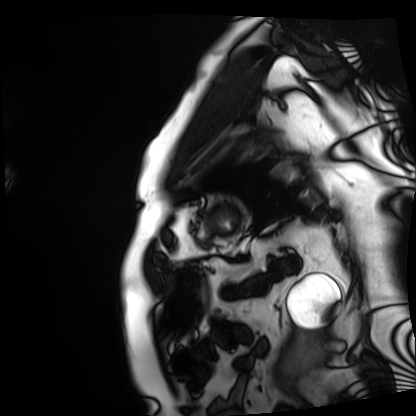
modality — cardiac MRI; subject group — patient.